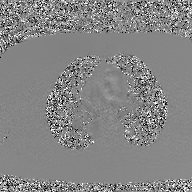
2D phase-contrast cine MRI of the ascending aorta, GAN super-resolution reconstruction.